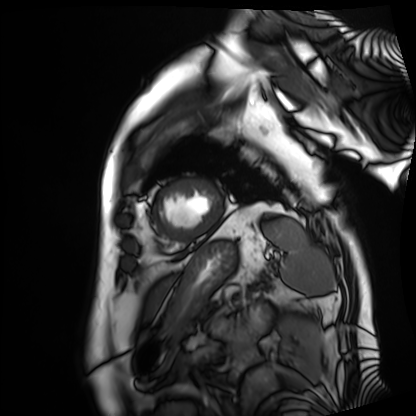
modality=cardiac MRI
subject group=patient